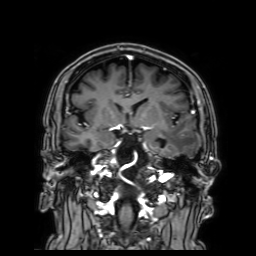
modality: 3 Tesla brain MRI; series: 3D T1-weighted with SENSE; study: ring-enhancing brain masses.